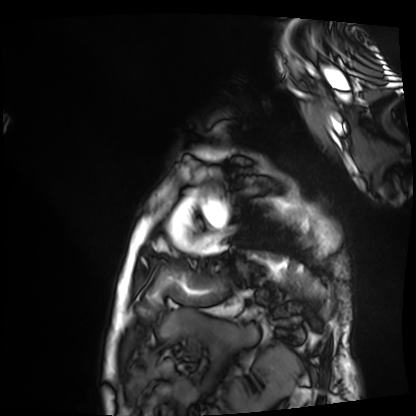
Cardiac MRI.
Subject group: patient.